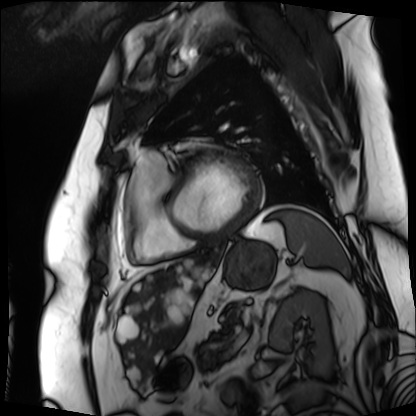
modality: cardiac MRI
subject group: patient